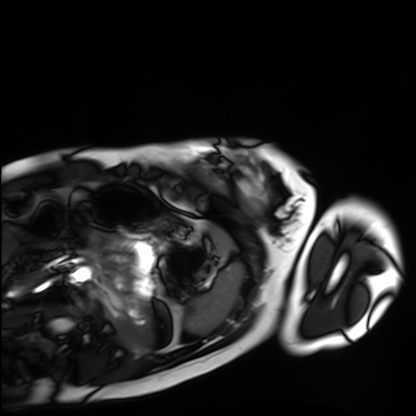
modality: cardiac MRI
cohort: healthy volunteer